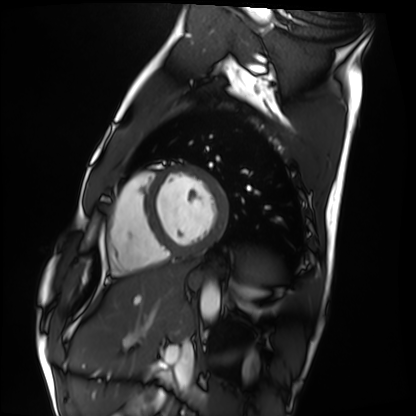
Cardiac MRI. Subject group: healthy volunteer.